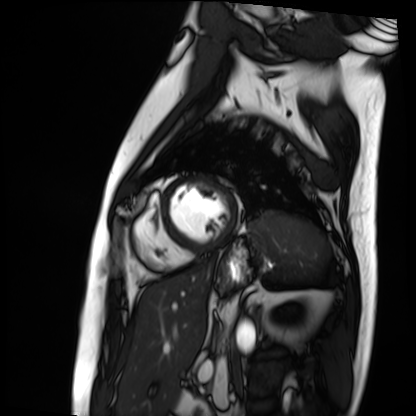
• modality: cardiac MRI
• subject group: patient